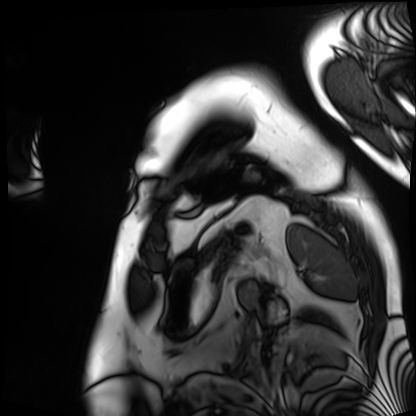
modality: cardiac MRI | subject group: patient.